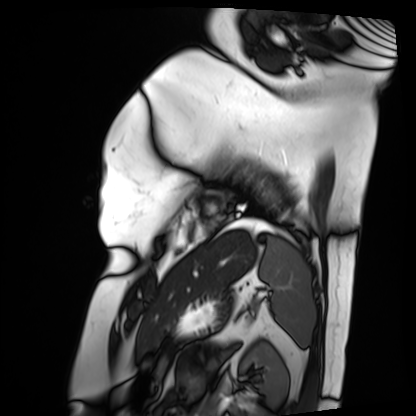
Summary: Cardiac MRI. Subject group: patient.